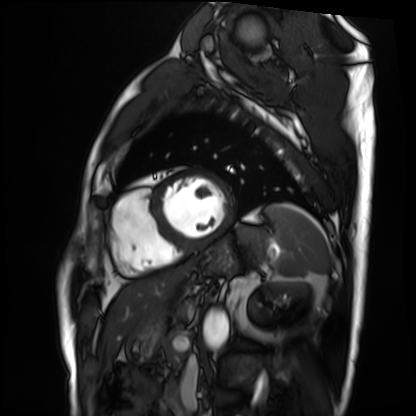
Cardiac MRI.
Subject group: patient.